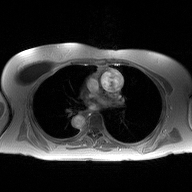
* modality — 2D phase-contrast cine MRI of the ascending aorta